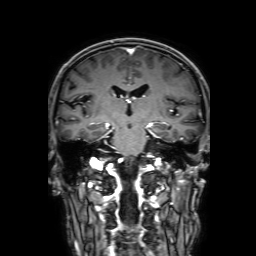
3 Tesla brain MRI.
Series: 3D T1-weighted with SENSE.
Study: ring-enhancing brain masses.